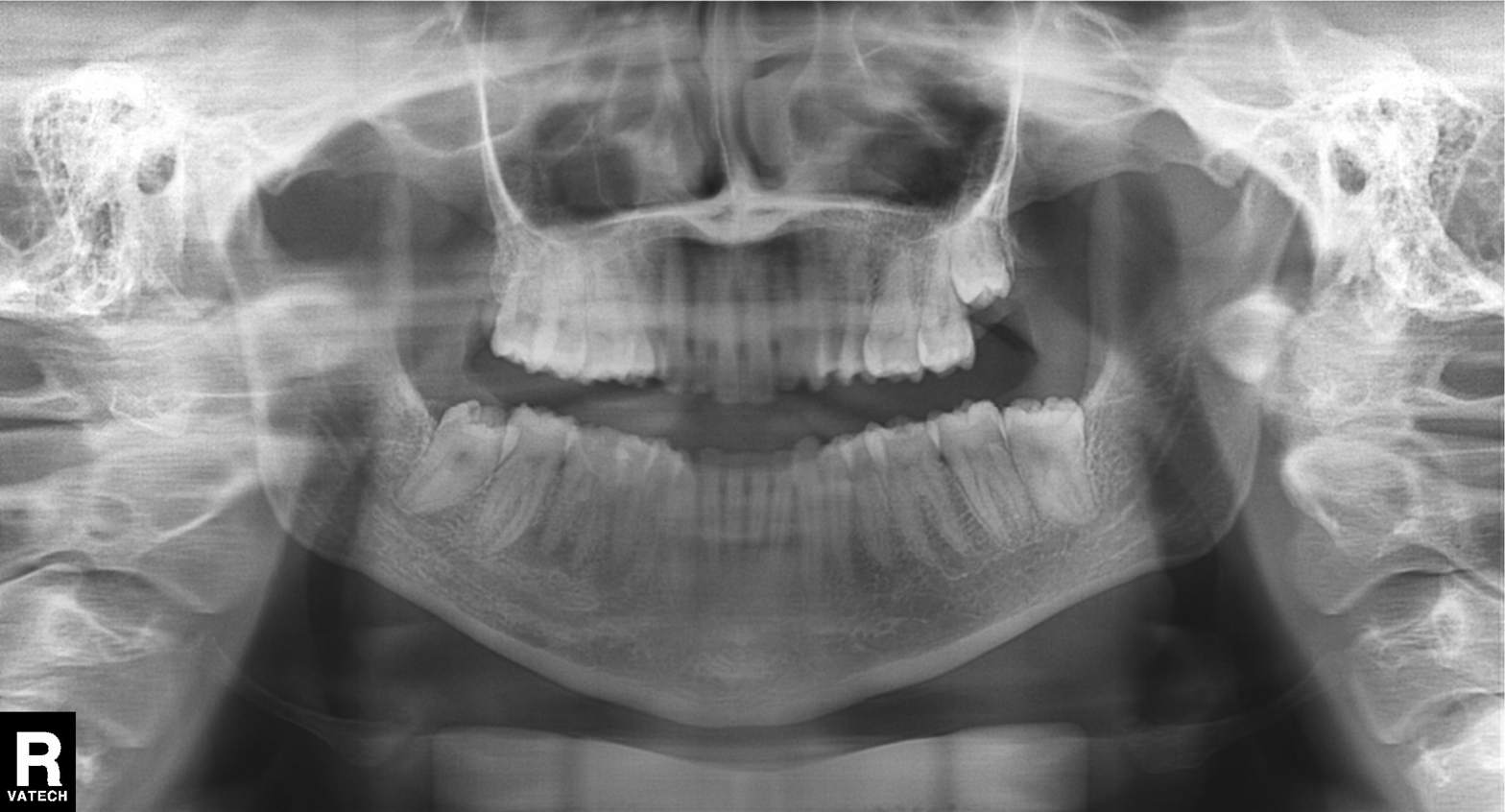
| feature | finding |
|---|---|
| modality | panoramic dental radiograph (orthopantomogram) |
| finding | dental caries (cavities) |